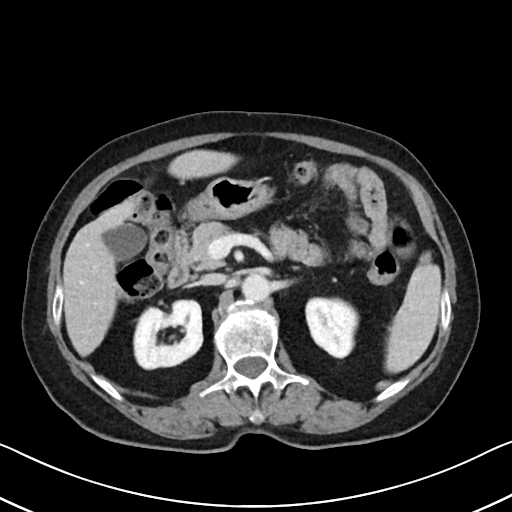
Q: What kind of scan is this?
A: Multiphase abdominal CT, liver, portal venous phase.
Q: Patient?
A: Female, age 71.
Q: History?
A: Cirrhosis, viral hepatitis.